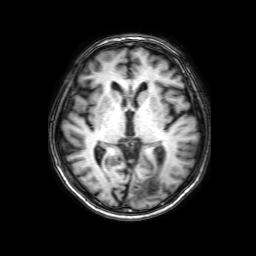
3 Tesla brain MRI. Series: 3D T1-weighted with SENSE. Study: ring-enhancing brain masses.